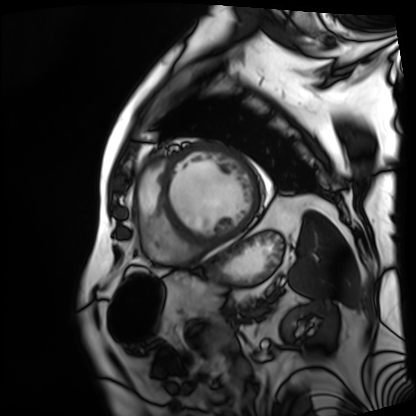
Cardiac MRI. Subject group: patient.